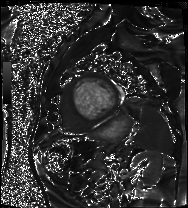
Case summary:
Cardiac MRI. Subject group: patient.